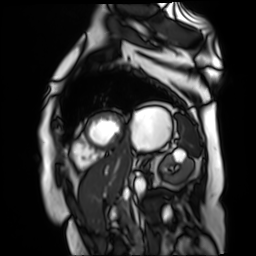
Summary:
Cardiac MR image of the myocardium. Subject cohort: cardiac patient.